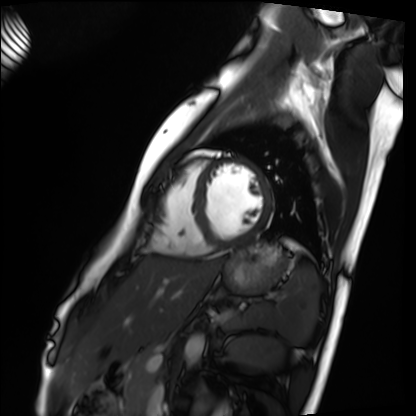
- modality · cardiac MRI
- subject group · healthy volunteer